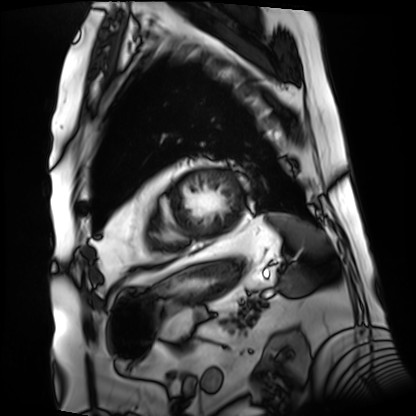
Q: What kind of scan is this?
A: Cardiac MRI.
Subject group: patient.